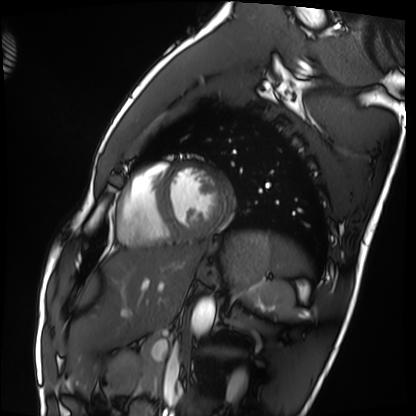
| field | value |
|---|---|
| modality | cardiac MRI |
| subject group | healthy volunteer |